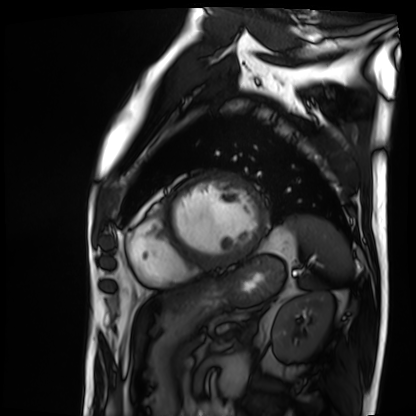
Cardiac MRI.
Subject group: patient.